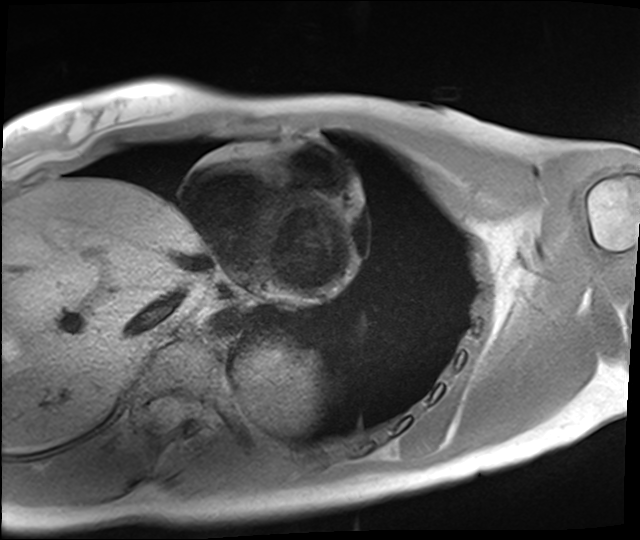
Summary:
Cardiac MRI. Subject group: healthy volunteer.